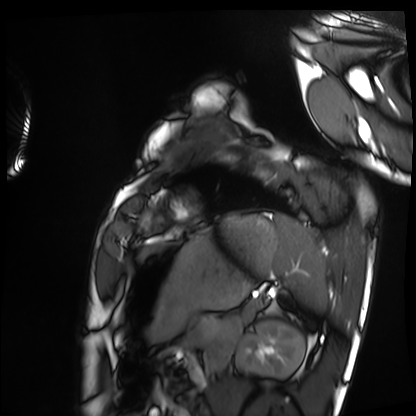
modality = cardiac MRI, subject group = healthy volunteer.